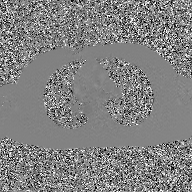
2D phase-contrast cine MRI of the ascending aorta, GAN super-resolution reconstruction.